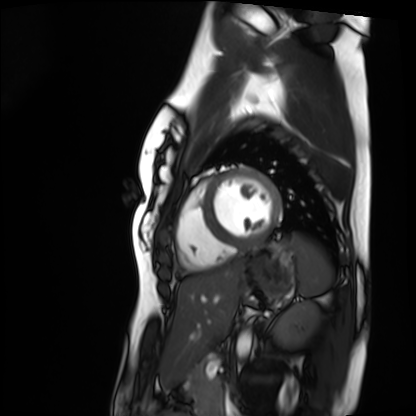
Cardiac MRI. Subject group: healthy volunteer.